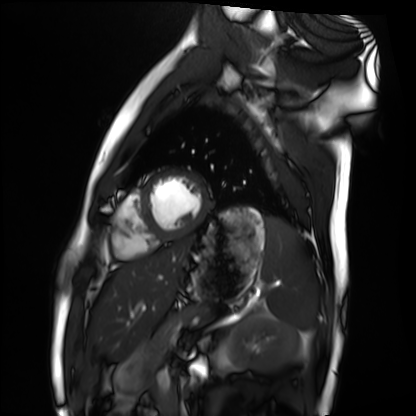
{"modality": "cardiac MRI", "cohort": "healthy volunteer"}